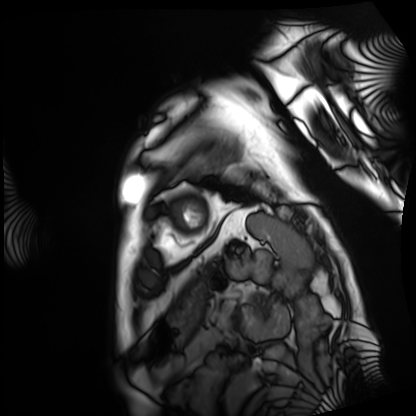
<record>
  <modality>cardiac MRI</modality>
  <cohort>patient</cohort>
</record>